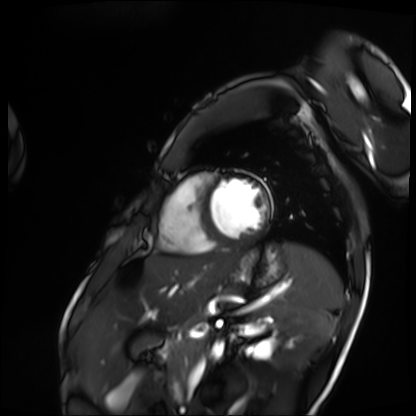
modality: cardiac MRI | subject group: patient.